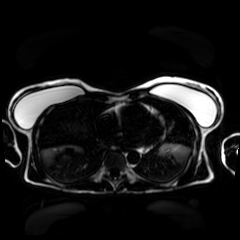
Case summary:
Chemical-shift-encoded cardiac MRI.